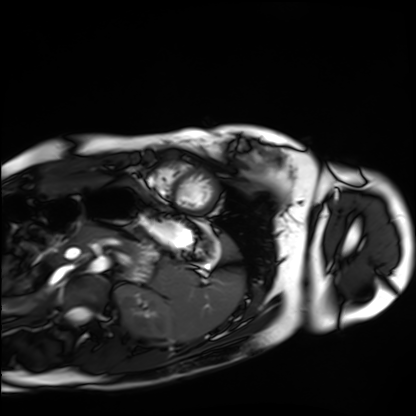
| field | value |
|---|---|
| modality | cardiac MRI |
| subject group | healthy volunteer |